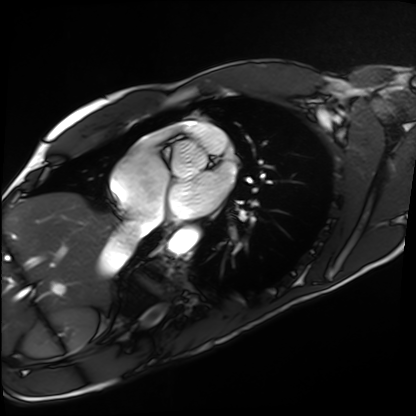
{"modality": "cardiac MRI", "cohort": "healthy volunteer"}